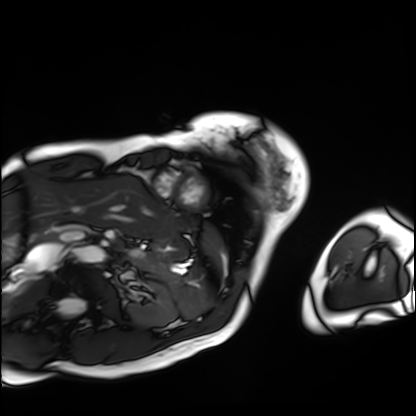
| field | value |
|---|---|
| modality | cardiac MRI |
| subject group | patient |